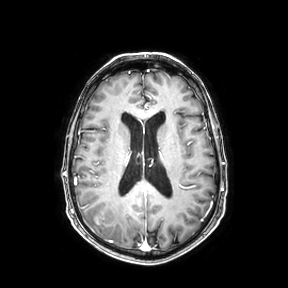
Clinical context: 3 Tesla brain MRI. Series: axial. Study: ring-enhancing brain masses.